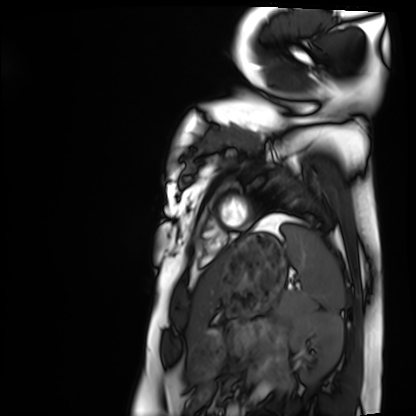
Summary:
Cardiac MRI. Subject group: healthy volunteer.